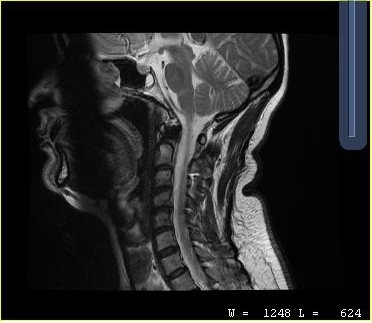
MRI of the cervical spine.
Study: cervical spondylosis.